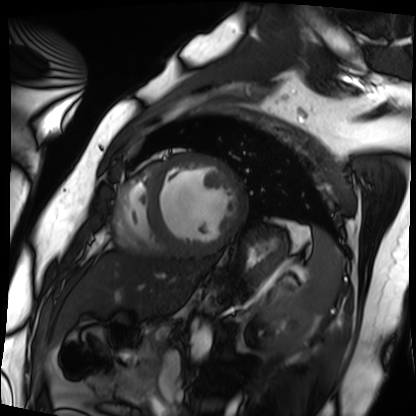
<record>
<modality>cardiac MRI</modality>
<cohort>patient</cohort>
</record>